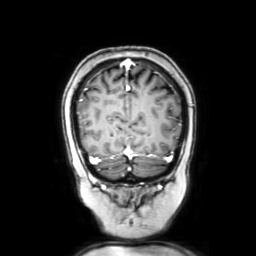
modality = 3 Tesla brain MRI; series = coronal with contrast; study = ring-enhancing brain masses.